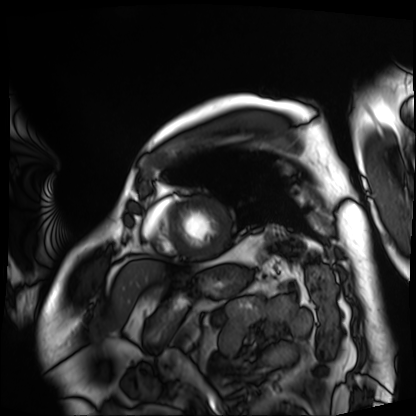
Cardiac MRI.
Subject group: patient.